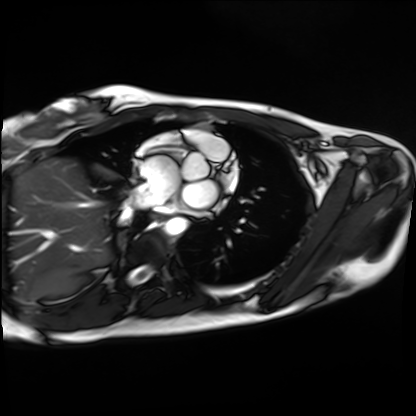
modality = cardiac MRI; subject group = healthy volunteer.